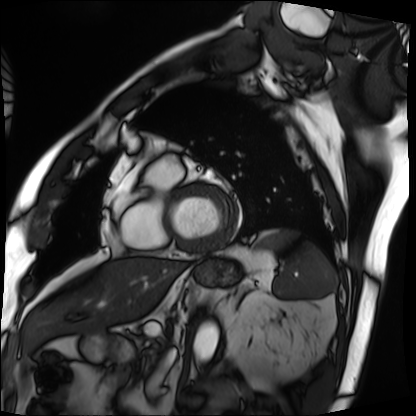
{
  "modality": "cardiac MRI",
  "cohort": "patient"
}